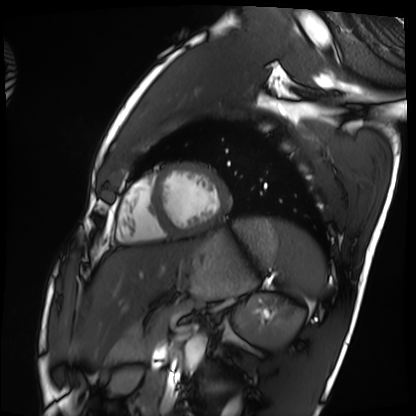
| field | value |
|---|---|
| modality | cardiac MRI |
| subject group | healthy volunteer |